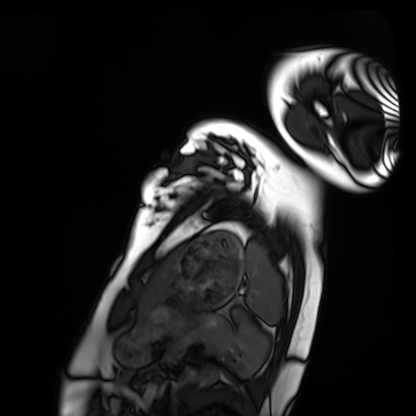
Case summary:
Cardiac MRI. Subject group: healthy volunteer.